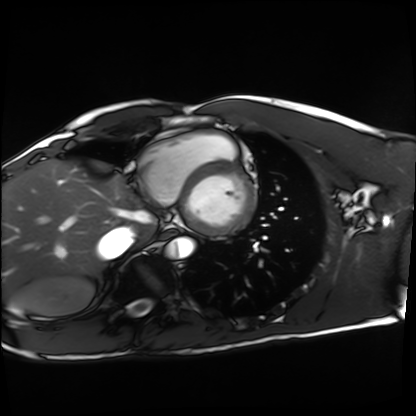
Case:
* modality · cardiac MRI
* subject group · healthy volunteer